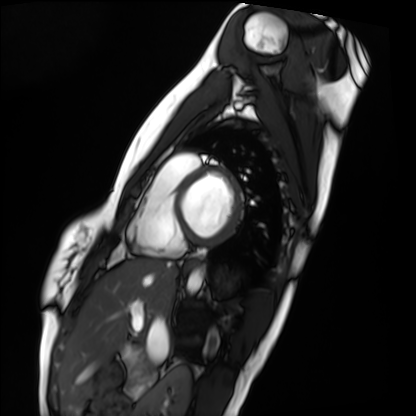
<record>
<modality>cardiac MRI</modality>
<cohort>healthy volunteer</cohort>
</record>